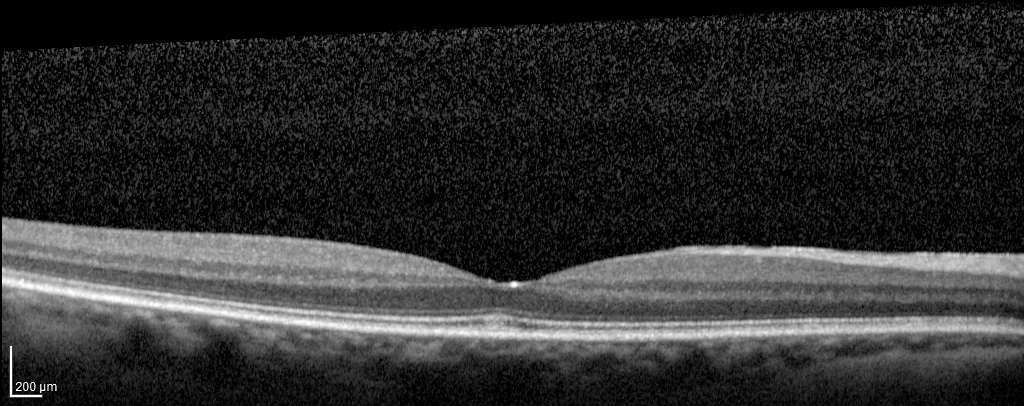
modality — spectral-domain optical coherence tomography (SD-OCT) of the macula
subject — female, age 62, right eye
cohort — diabetic subject
ETDRS-grid retinal thickness (μm) — central 266, inner temporal 327, inner nasal 341, inner superior 337, inner inferior 341, outer temporal 280, outer nasal 315, outer superior 294, outer inferior 294